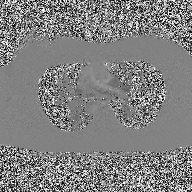
Case summary: 2D phase-contrast cine MRI of the ascending aorta, high-resolution GRAPPA acquisition.